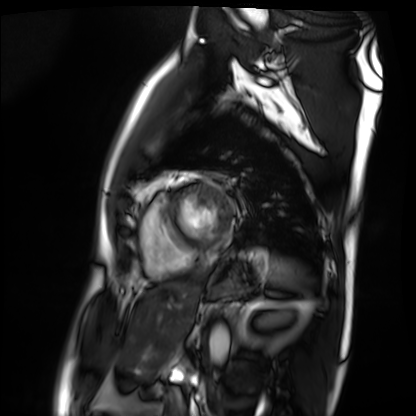
Cardiac MRI. Subject group: patient.